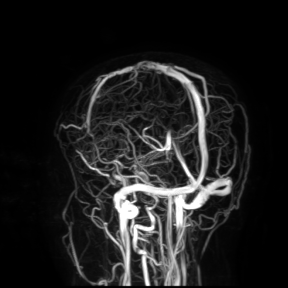
3 Tesla brain MRI. Study: ring-enhancing brain masses.